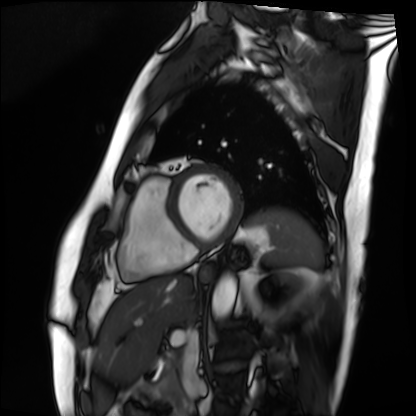
Cardiac MRI. Subject group: patient.